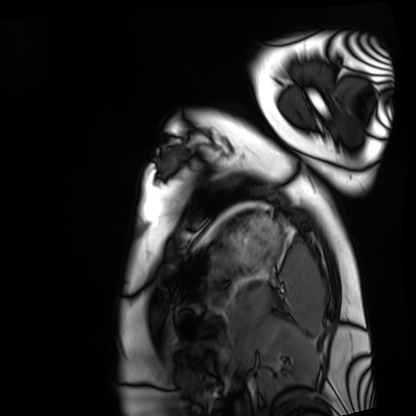
Summary: Cardiac MRI. Subject group: healthy volunteer.